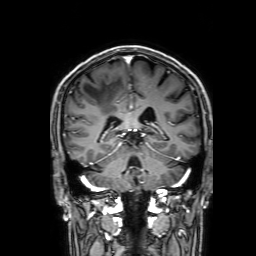
3 Tesla brain MRI.
Series: 3D T1-weighted with SENSE.
Study: ring-enhancing brain masses.